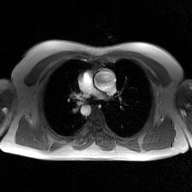
<scan>
<modality>
  <type>2D phase-contrast cine MRI</type>
  <region>ascending aorta</region>
  <reconstruction>GAN super-resolution reconstruction</reconstruction>
</modality>
</scan>